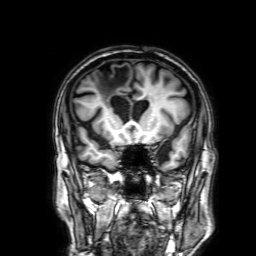
modality = 3 Tesla brain MRI | series = 3D T1-weighted with SENSE | study = ring-enhancing brain masses.